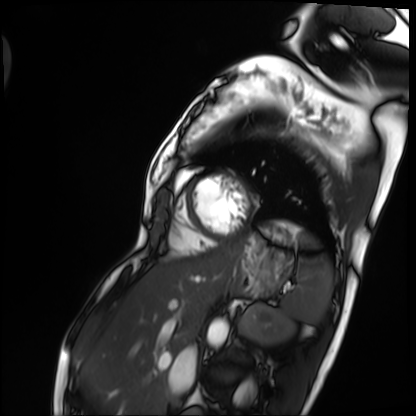
Cardiac MRI.
Subject group: patient.